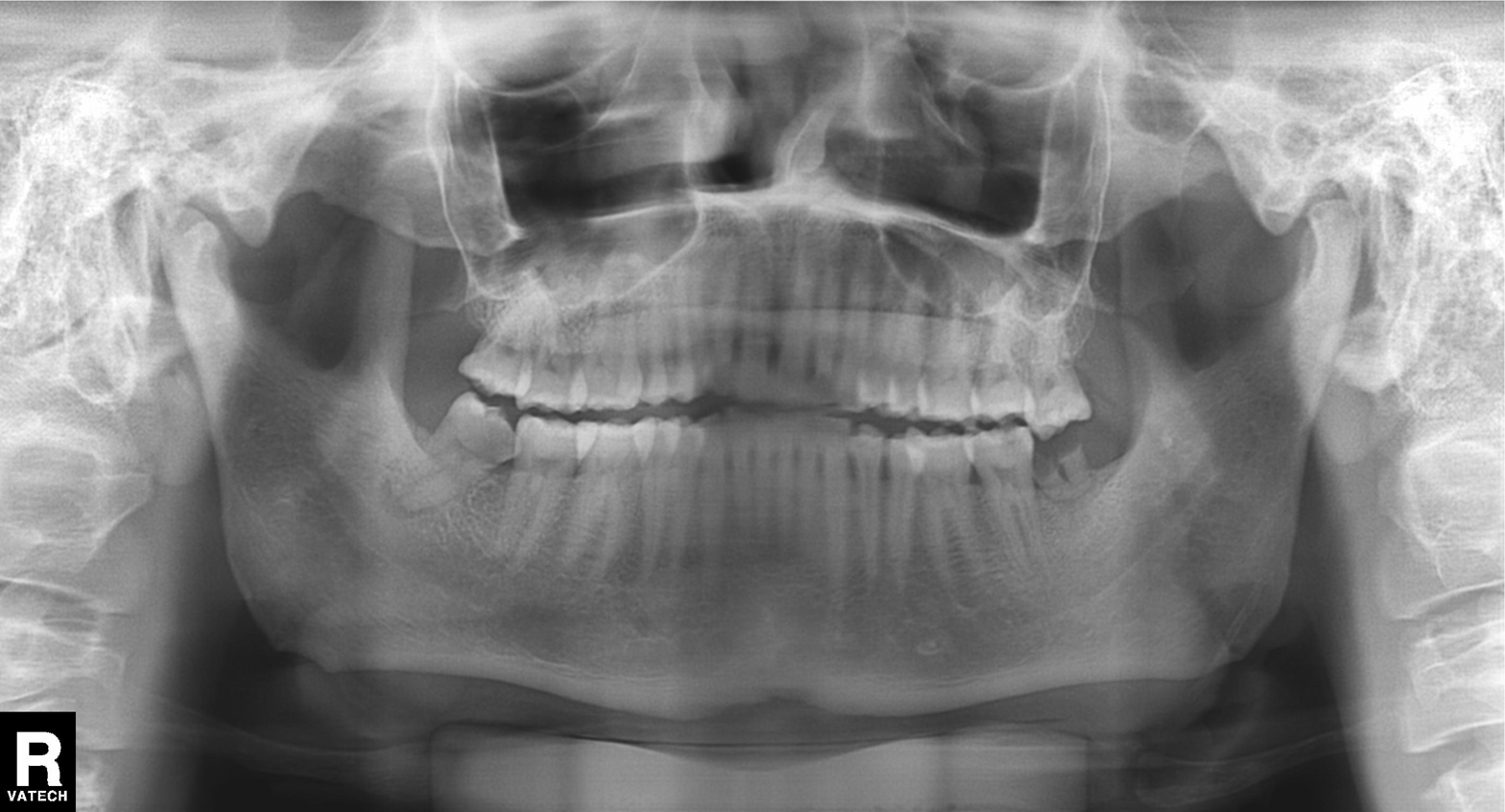
Panoramic dental radiograph (orthopantomogram). Finding: alveolar bone loss.